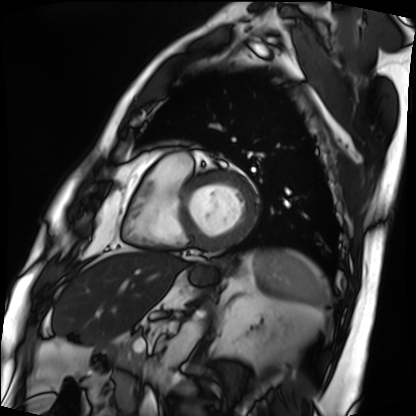
Cardiac MRI. Subject group: patient.